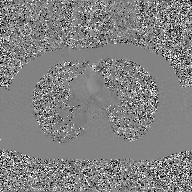
Case summary:
2D phase-contrast cine MRI of the ascending aorta, GAN super-resolution reconstruction.